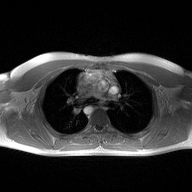
modality = 2D phase-contrast cine MRI of the ascending aorta